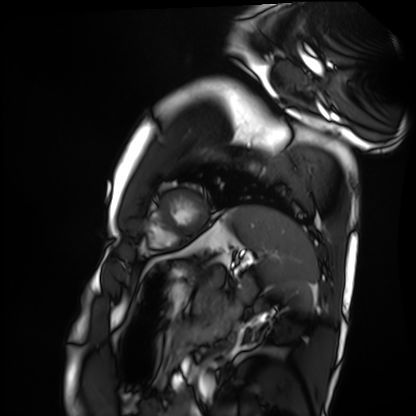
{
  "modality": "cardiac MRI",
  "cohort": "healthy volunteer"
}